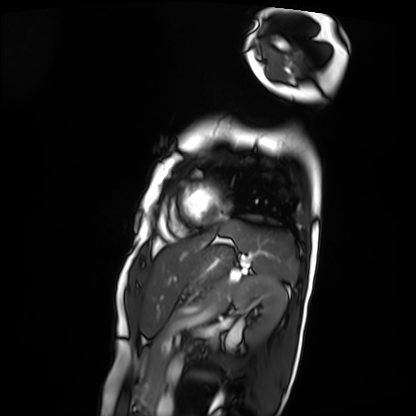
Cardiac MRI.
Subject group: patient.